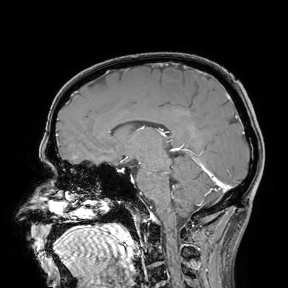
3 Tesla brain MRI.
Study: ring-enhancing brain masses.